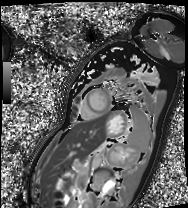
Summary: Cardiac MRI. Subject group: patient.